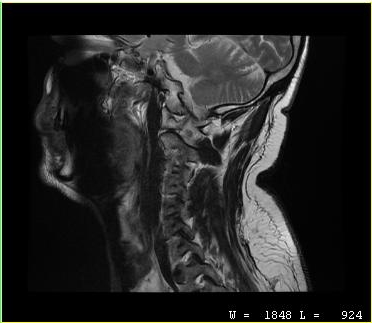
Case summary:
MRI of the cervical spine. Study: cervical spondylosis.